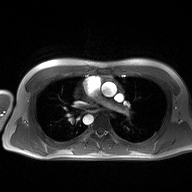
2D phase-contrast cine MRI of the ascending aorta, high-resolution GRAPPA acquisition.